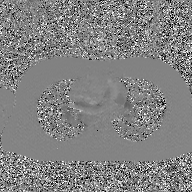
modality = 2D phase-contrast cine MRI of the ascending aorta, GAN super-resolution reconstruction.